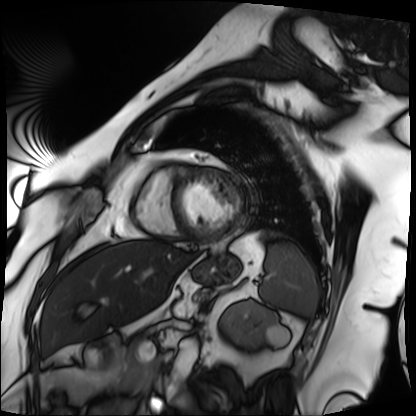
- modality · cardiac MRI
- subject group · patient